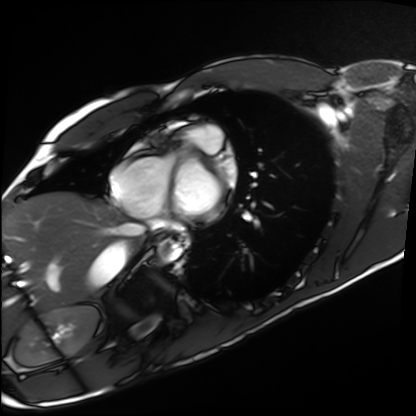
| field | value |
|---|---|
| modality | cardiac MRI |
| subject group | healthy volunteer |